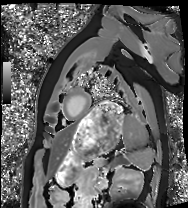
Cardiac MRI.
Subject group: healthy volunteer.